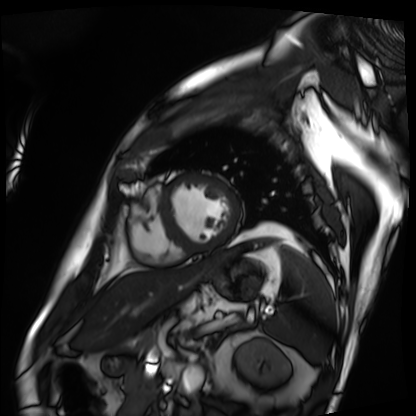
Q: What kind of scan is this?
A: Cardiac MRI.
Subject group: patient.